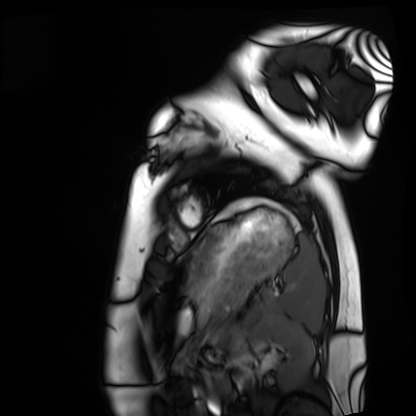
{"modality": "cardiac MRI", "cohort": "healthy volunteer"}